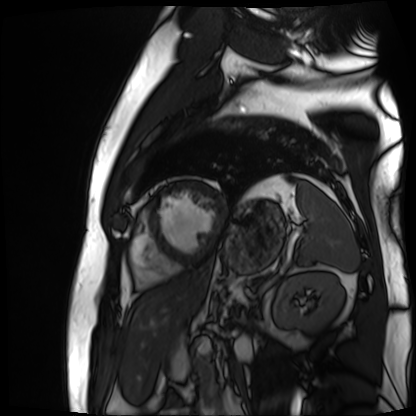
Cardiac MR image of the myocardium. Subject cohort: cardiac patient.